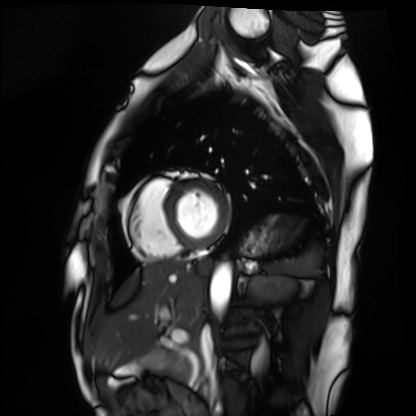
  modality: cardiac MRI
  cohort: healthy volunteer